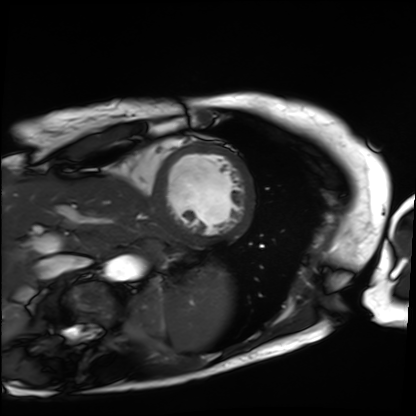
<scan>
<modality>cardiac MRI</modality>
<cohort>patient</cohort>
</scan>